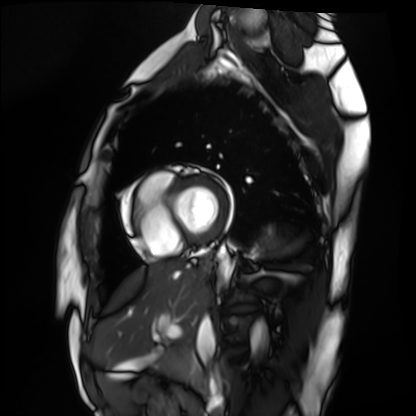
– modality: cardiac MRI
– subject group: healthy volunteer